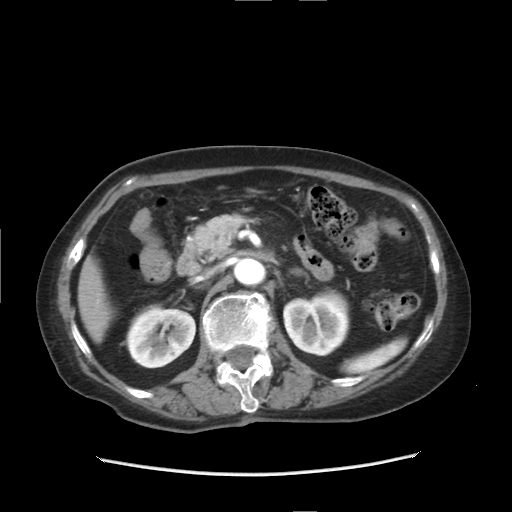
modality: multiphase abdominal CT, liver, arterial phase; patient: female, age 84.